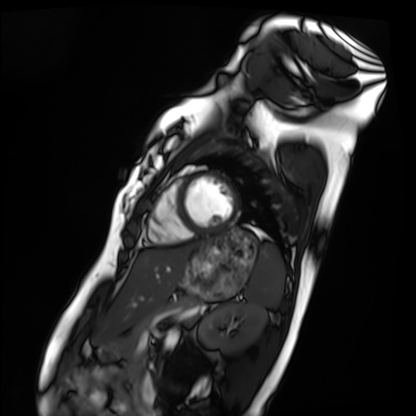
modality: cardiac MRI, subject group: healthy volunteer.